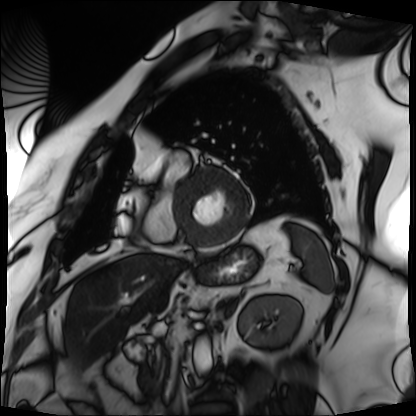
modality=cardiac MRI | subject group=patient.